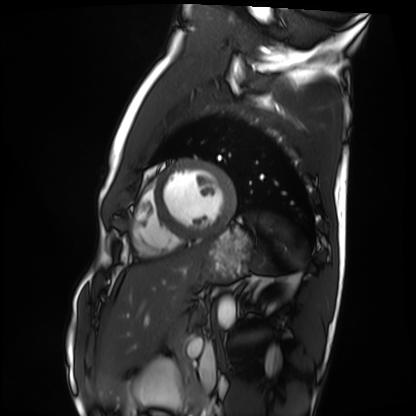
Q: What kind of scan is this?
A: Cardiac MRI.
Subject group: healthy volunteer.